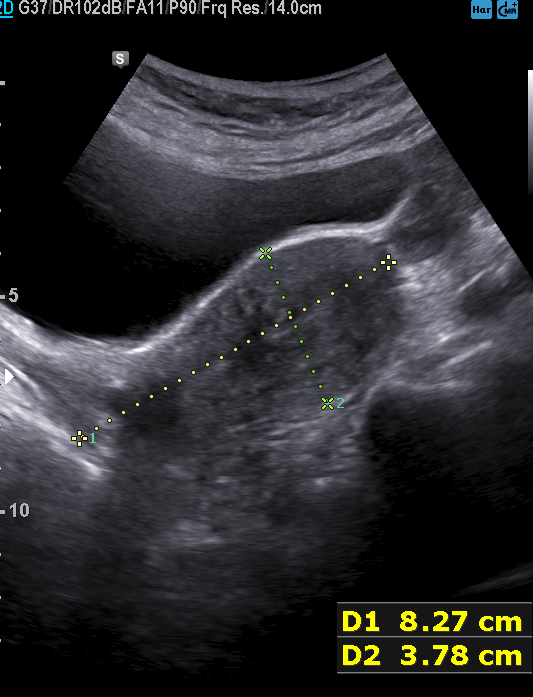
Genitourinary ultrasound.